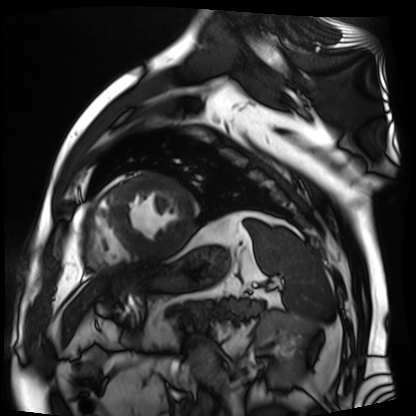
modality: cardiac MR image of the myocardium, subject cohort: cardiac patient.